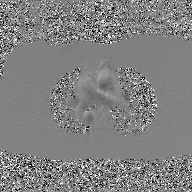
modality: 2D phase-contrast cine MRI of the ascending aorta, GAN super-resolution reconstruction.